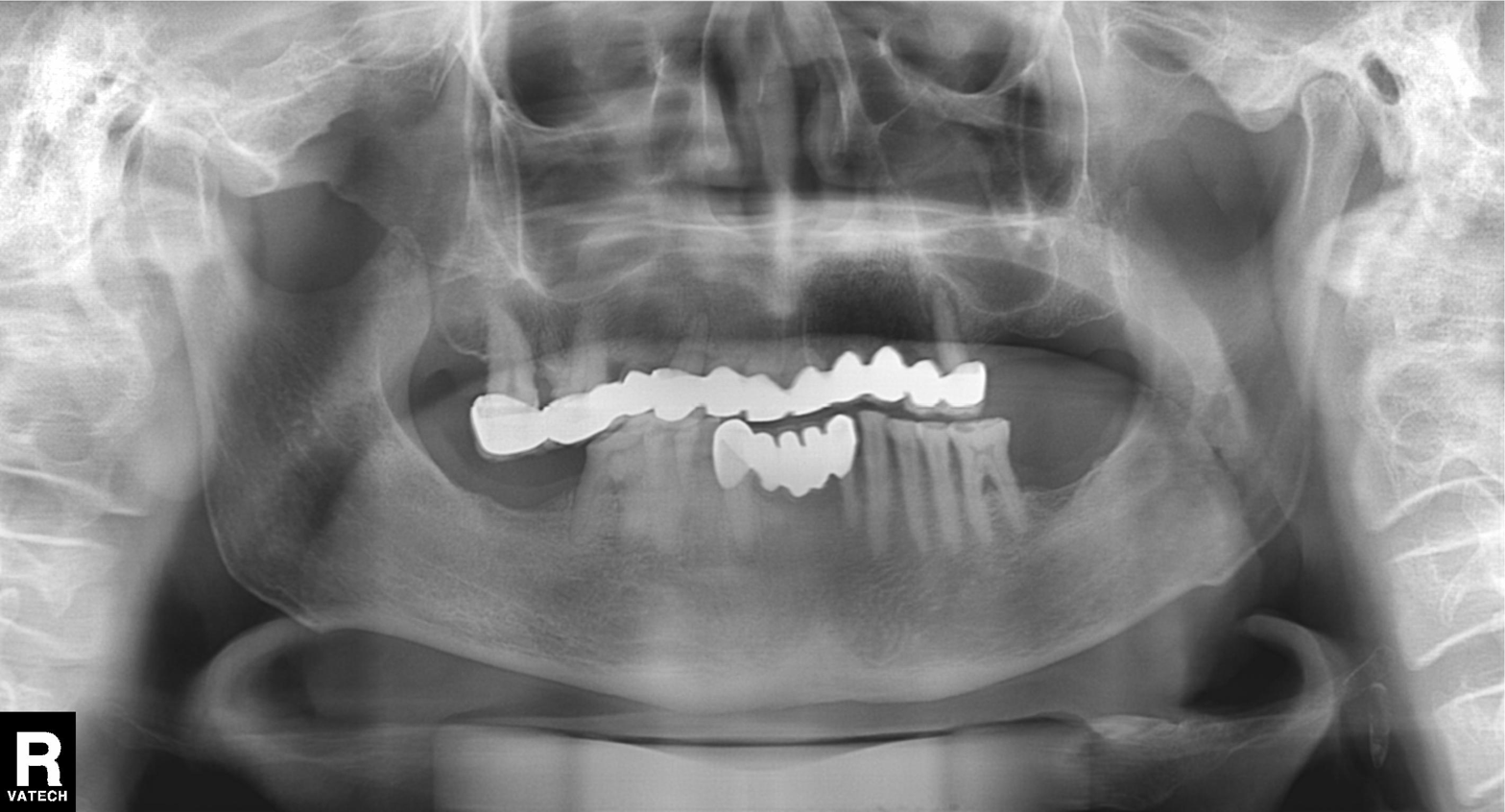
modality: panoramic dental radiograph (orthopantomogram)
finding: dental caries (cavities)